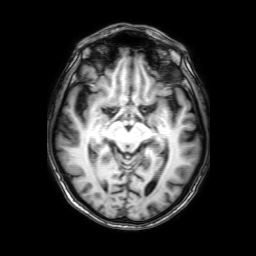
3 Tesla brain MRI. Study: ring-enhancing brain masses.